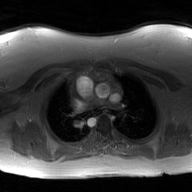
2D phase-contrast cine MRI of the ascending aorta, GAN super-resolution reconstruction.